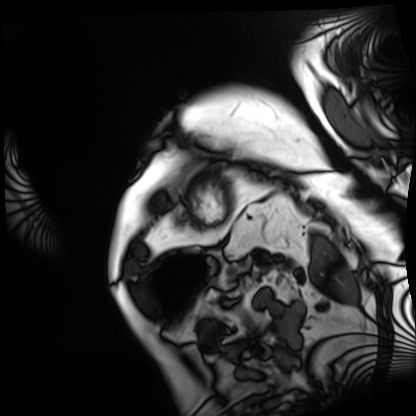
{
  "modality": "cardiac MRI",
  "cohort": "patient"
}